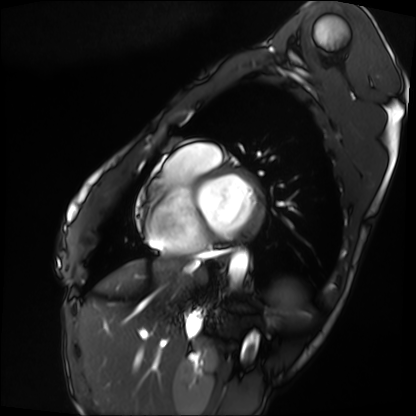
modality = cardiac MRI; subject group = patient.